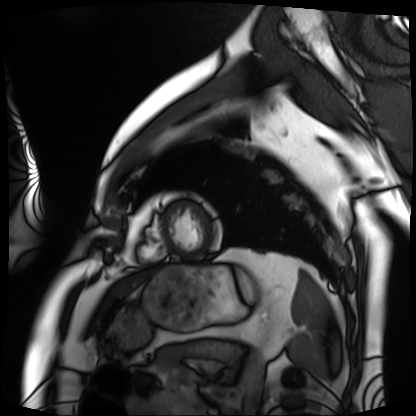
Summary: Cardiac MRI. Subject group: patient.